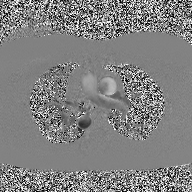
modality = 2D phase-contrast cine MRI of the ascending aorta.